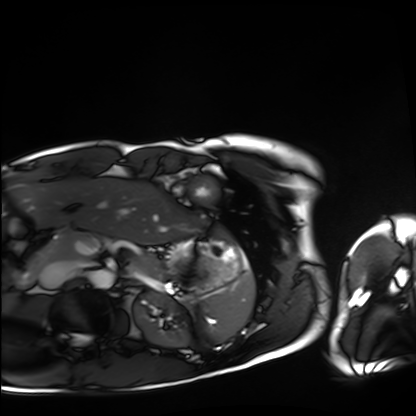
{"modality": "cardiac MRI", "cohort": "healthy volunteer"}